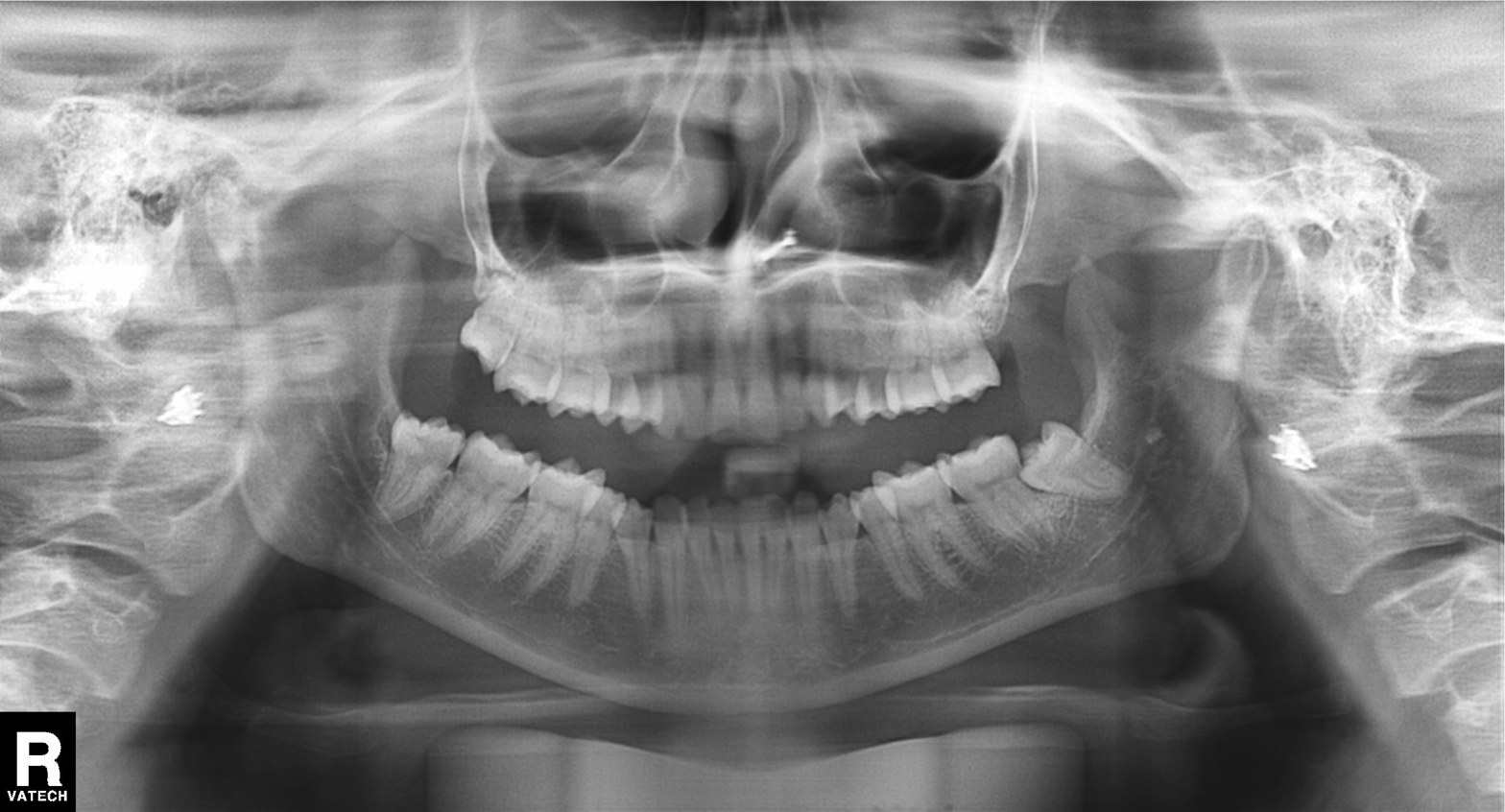
Panoramic dental radiograph (orthopantomogram).
Finding: alveolar bone loss.